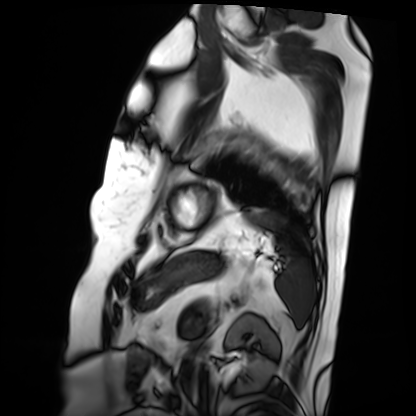
- modality · cardiac MRI
- subject group · patient